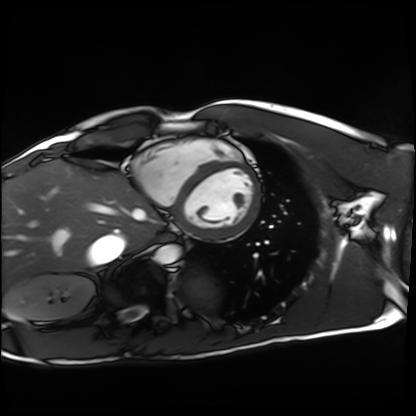
Clinical context:
Cardiac MRI. Subject group: healthy volunteer.